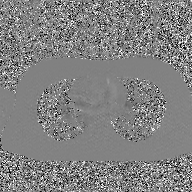
{"modality": {"type": "2D phase-contrast cine MRI", "region": "ascending aorta", "reconstruction": "GAN super-resolution reconstruction"}}